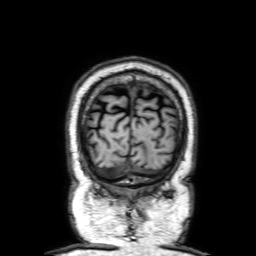
3 Tesla brain MRI.
Series: 3D T1-weighted with SENSE.
Study: ring-enhancing brain masses.